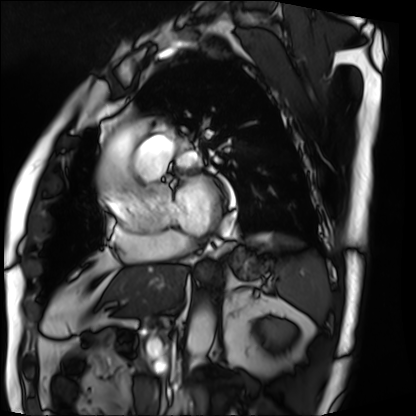
modality: cardiac MRI, subject group: patient.